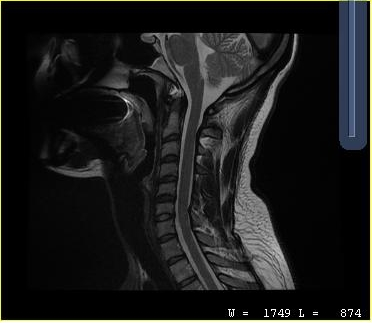
modality=MRI of the cervical spine | study=cervical spondylosis.